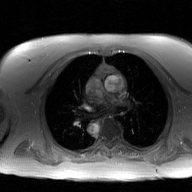
| field | value |
|---|---|
| modality | 2D phase-contrast cine MRI of the ascending aorta, GAN super-resolution reconstruction |